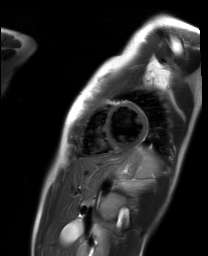
  modality: cardiac MR image of the myocardium
  cohort: healthy volunteer